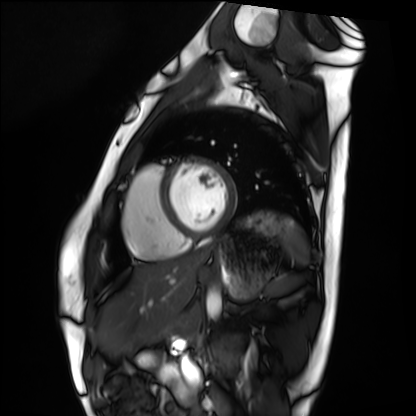
Cardiac MRI. Subject group: healthy volunteer.